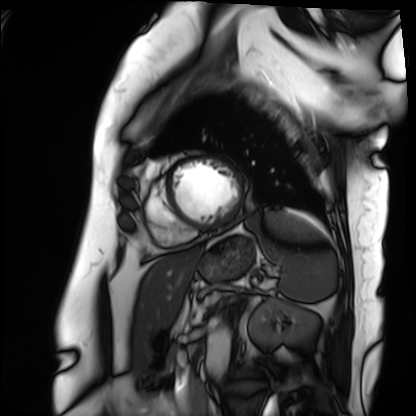
Cardiac MRI. Subject group: patient.